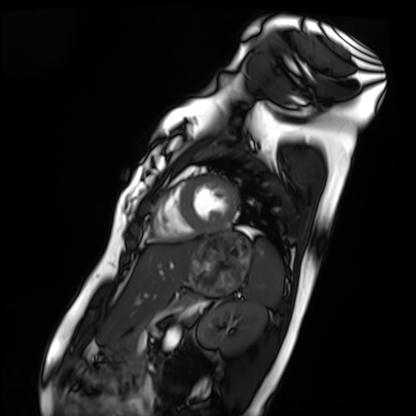
<record>
<modality>cardiac MRI</modality>
<cohort>healthy volunteer</cohort>
</record>